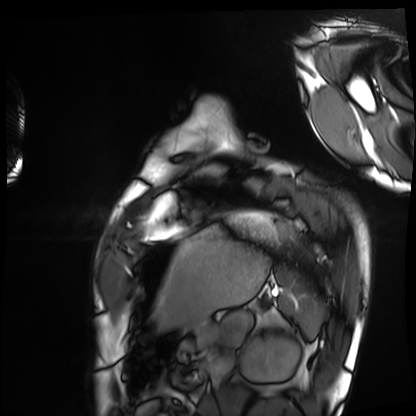
Cardiac MRI. Subject group: healthy volunteer.